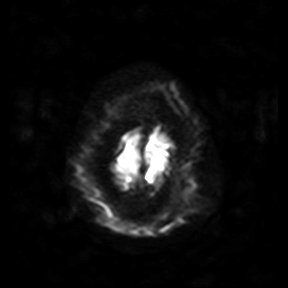
Case summary: 3 Tesla brain MRI. Series: diffusion-weighted imaging. Study: ring-enhancing brain masses.